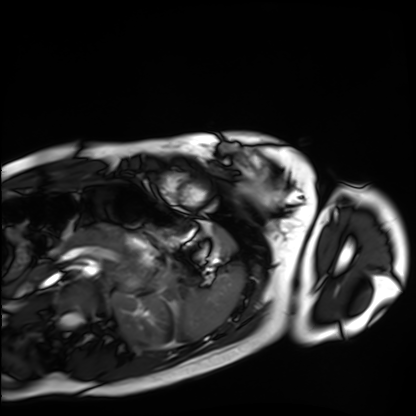
Cardiac MRI. Subject group: healthy volunteer.